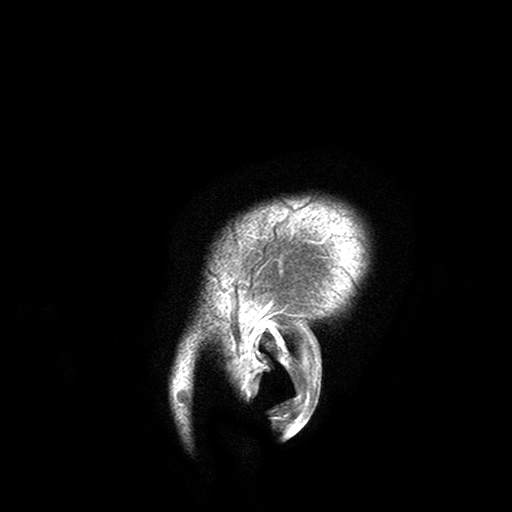
Summary: 3 Tesla brain MRI. Series: T2-weighted turbo spin echo with SENSE. Study: ring-enhancing brain masses.